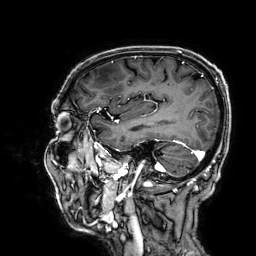
3 Tesla brain MRI. Series: 3D T1-weighted. Study: ring-enhancing brain masses.